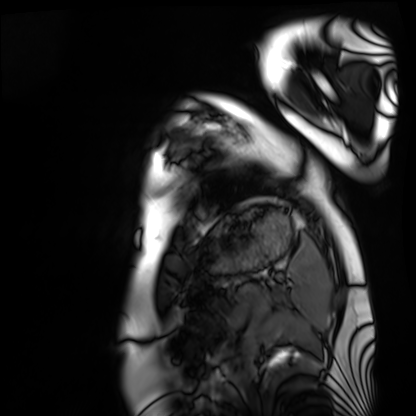
• modality · cardiac MRI
• subject group · healthy volunteer